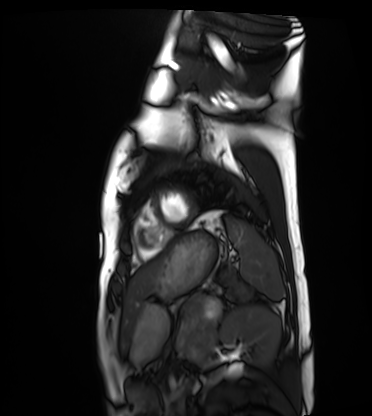
Cardiac MRI. Subject group: healthy volunteer.